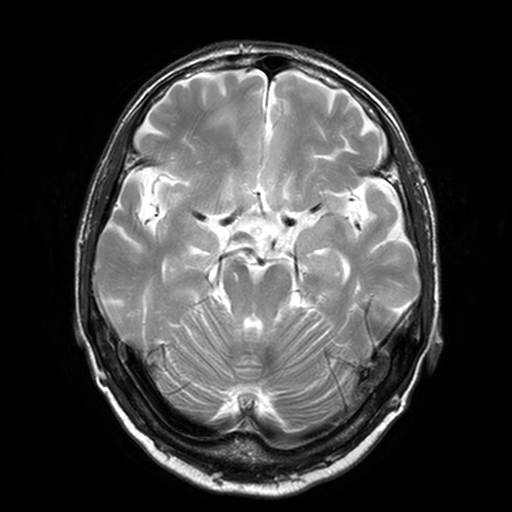
modality: 3 Tesla brain MRI; series: T2-weighted turbo spin echo, 3 mm; study: ring-enhancing brain masses.